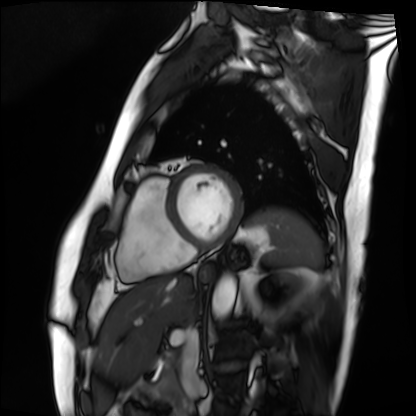
Q: What kind of scan is this?
A: Cardiac MRI.
Subject group: patient.